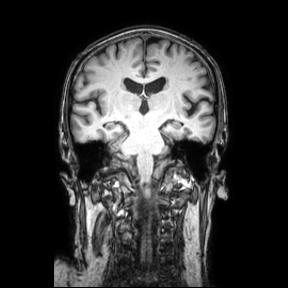
Case summary:
3 Tesla brain MRI. Series: coronal. Study: ring-enhancing brain masses.